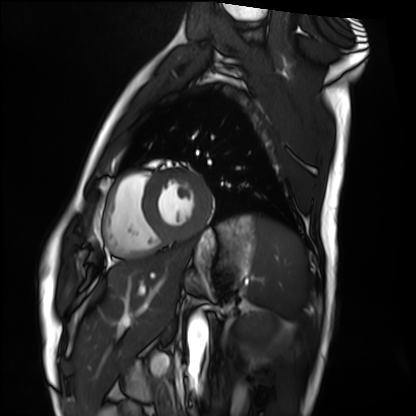
Cardiac MRI.
Subject group: healthy volunteer.